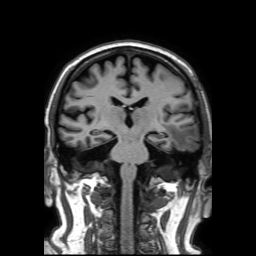
3 Tesla brain MRI. Series: 3D T1-weighted TFE with SENSE. Study: ring-enhancing brain masses.